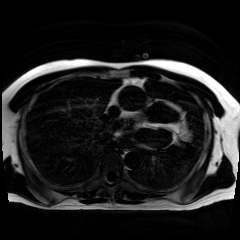
modality — chemical-shift-encoded cardiac MRI